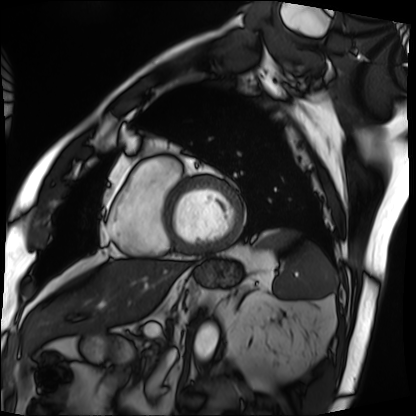
Case summary: Cardiac MRI. Subject group: patient.